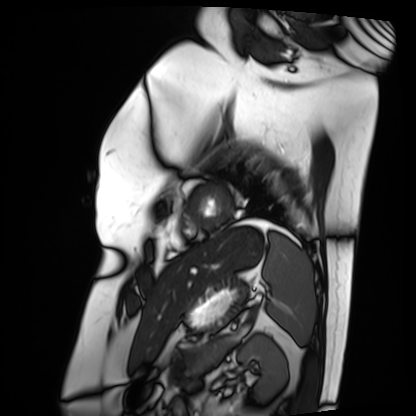
Case summary:
Cardiac MRI. Subject group: patient.